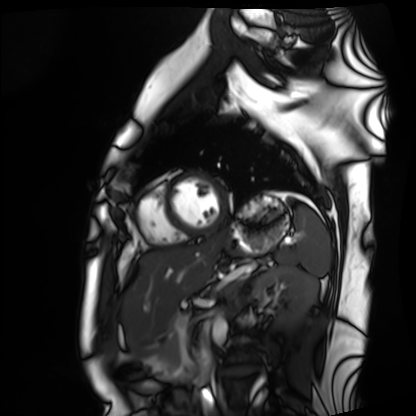
  modality: cardiac MRI
  cohort: healthy volunteer